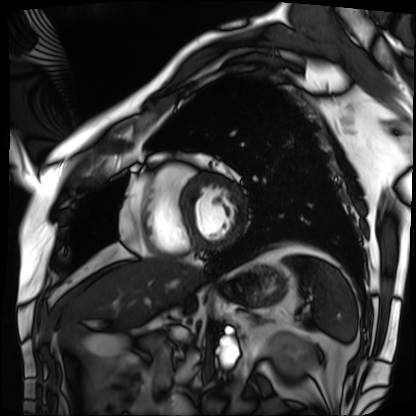
Cardiac MRI. Subject group: patient.